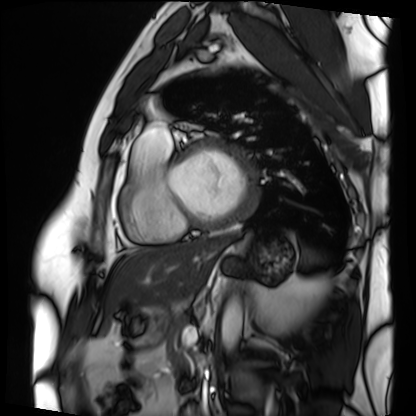
Clinical context:
Cardiac MRI. Subject group: patient.